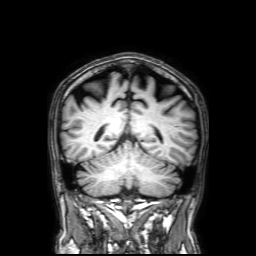
3 Tesla brain MRI. Series: 3D T1-weighted with SENSE. Study: ring-enhancing brain masses.